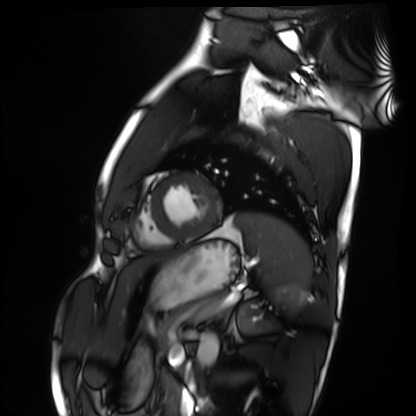
{
  "modality": "cardiac MRI",
  "cohort": "healthy volunteer"
}